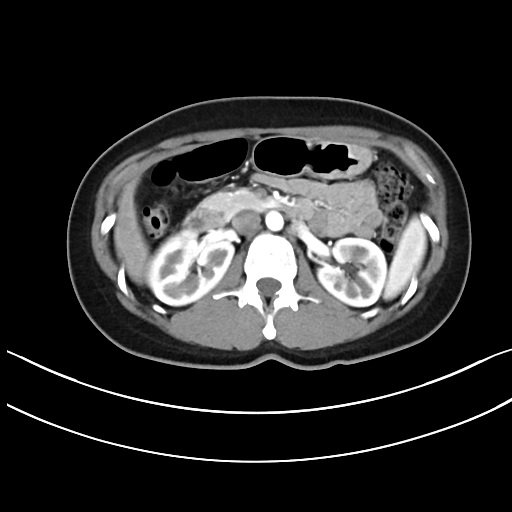
modality = multiphase abdominal CT, liver, arterial phase | patient = female, age 41.